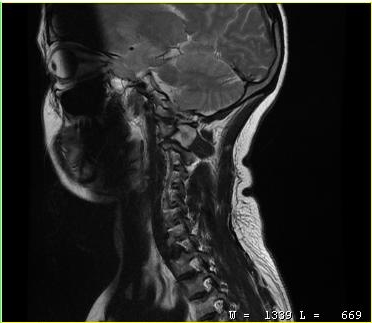
- modality — MRI of the cervical spine
- study — cervical spondylosis